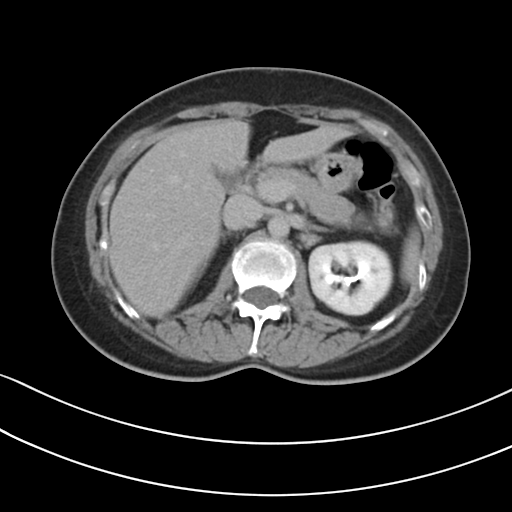
– modality: multiphase abdominal CT, liver, delayed phase
– patient: female, age 50